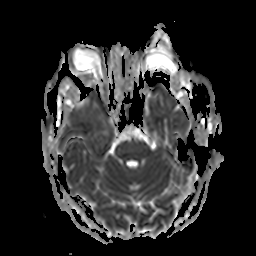
modality=3 Tesla brain MRI | series=apparent diffusion coefficient (ADC) map | study=ring-enhancing brain masses.